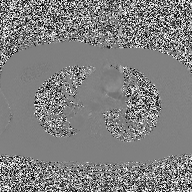
{
  "modality": {
    "type": "2D phase-contrast cine MRI",
    "region": "ascending aorta",
    "reconstruction": "high-resolution GRAPPA acquisition"
  }
}